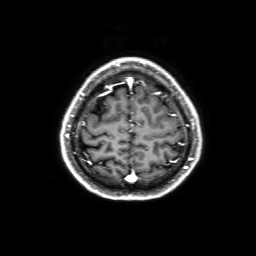
Case:
• modality — 3 Tesla brain MRI
• series — 3D T1-weighted with SENSE
• study — ring-enhancing brain masses